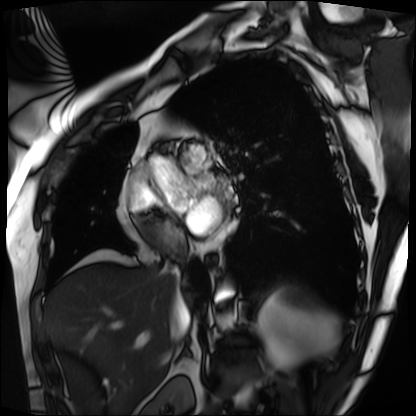
Q: What kind of scan is this?
A: Cardiac MRI.
Subject group: patient.